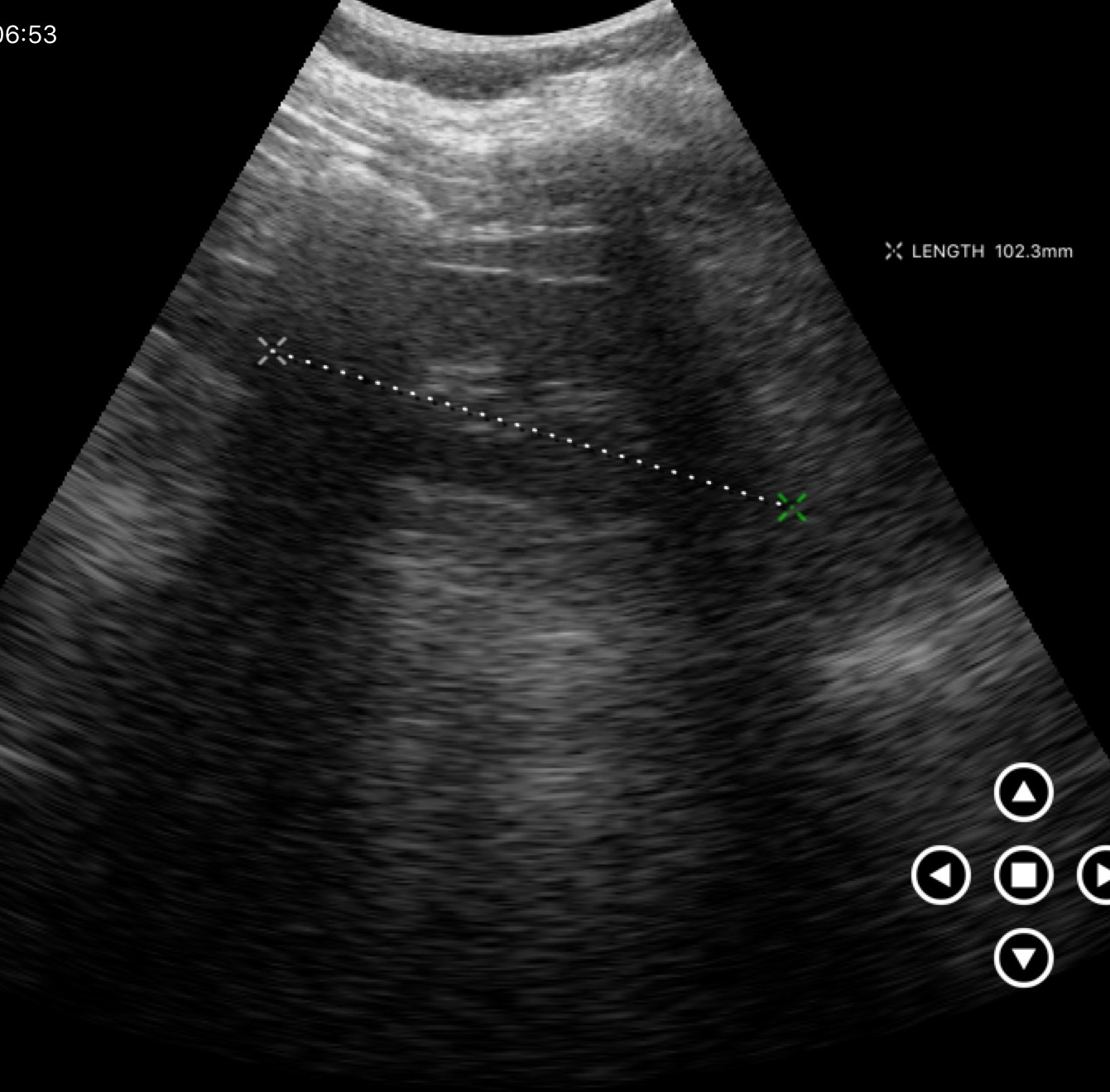
Case summary: Genitourinary ultrasound.